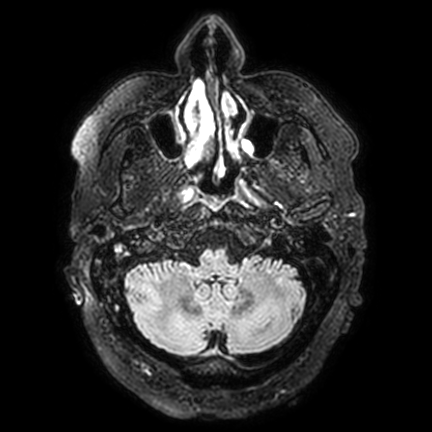
<study>
<modality>
  <type>brain MRI</type>
  <field_strength>3T</field_strength>
</modality>
<series>FLAIR VISTA with SENSE</series>
<study_topic>ring-enhancing brain masses</study_topic>
</study>